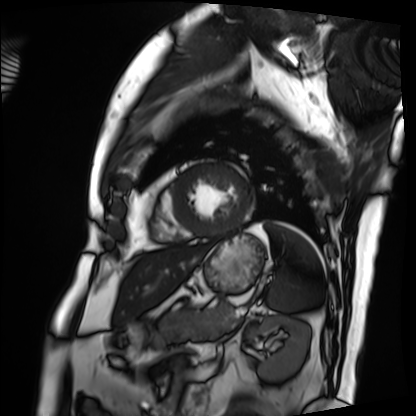
Clinical context:
Cardiac MRI. Subject group: patient.